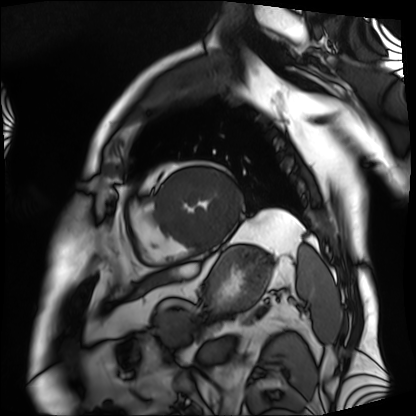
<scan>
<modality>cardiac MRI</modality>
<cohort>patient</cohort>
</scan>